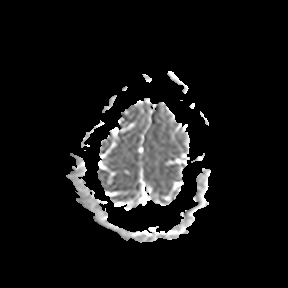
modality:
  type: brain MRI
  field_strength: 3T
series: apparent diffusion coefficient (ADC) map
study_topic: ring-enhancing brain masses